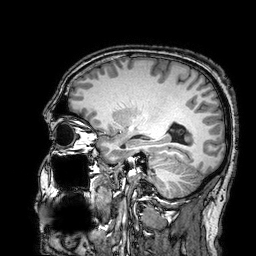
3 Tesla brain MRI. Series: 3D T1-weighted turbo field echo with SENSE. Study: ring-enhancing brain masses.